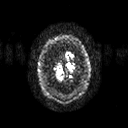
Case:
– modality · 3 Tesla brain MRI
– series · diffusion tensor imaging (medium iso)
– study · ring-enhancing brain masses